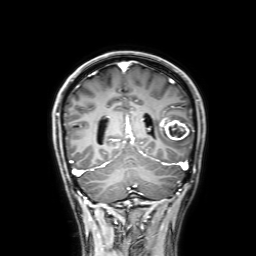
  modality:
    type: brain MRI
    field_strength: 3T
  series: 3D T1-weighted with SENSE
  study_topic: ring-enhancing brain masses